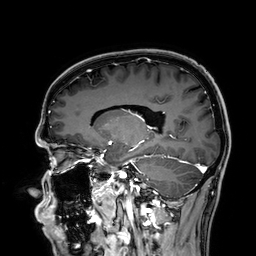
Q: What kind of scan is this?
A: 3 Tesla brain MRI.
Q: Series?
A: 3D T1-weighted.
Study: ring-enhancing brain masses.